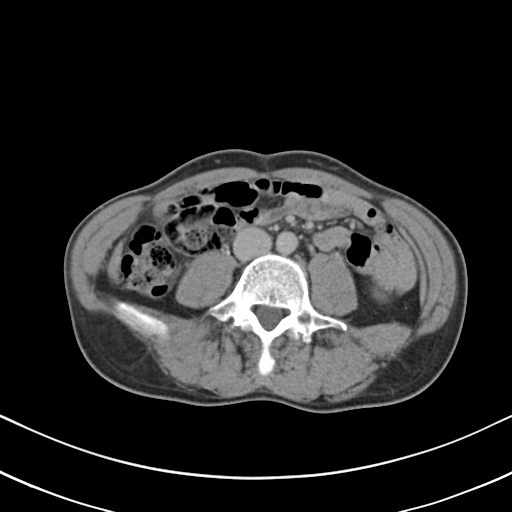
modality = multiphase abdominal CT, liver, delayed phase | patient = male, age 46.